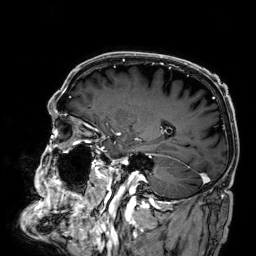
modality — 3 Tesla brain MRI
series — 3D T1-weighted
study — ring-enhancing brain masses